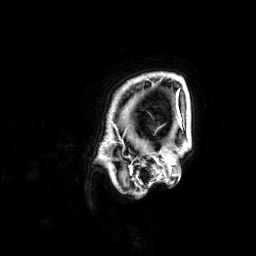
  modality:
    type: brain MRI
    field_strength: 3T
  series: 3D T1-weighted
  study_topic: ring-enhancing brain masses